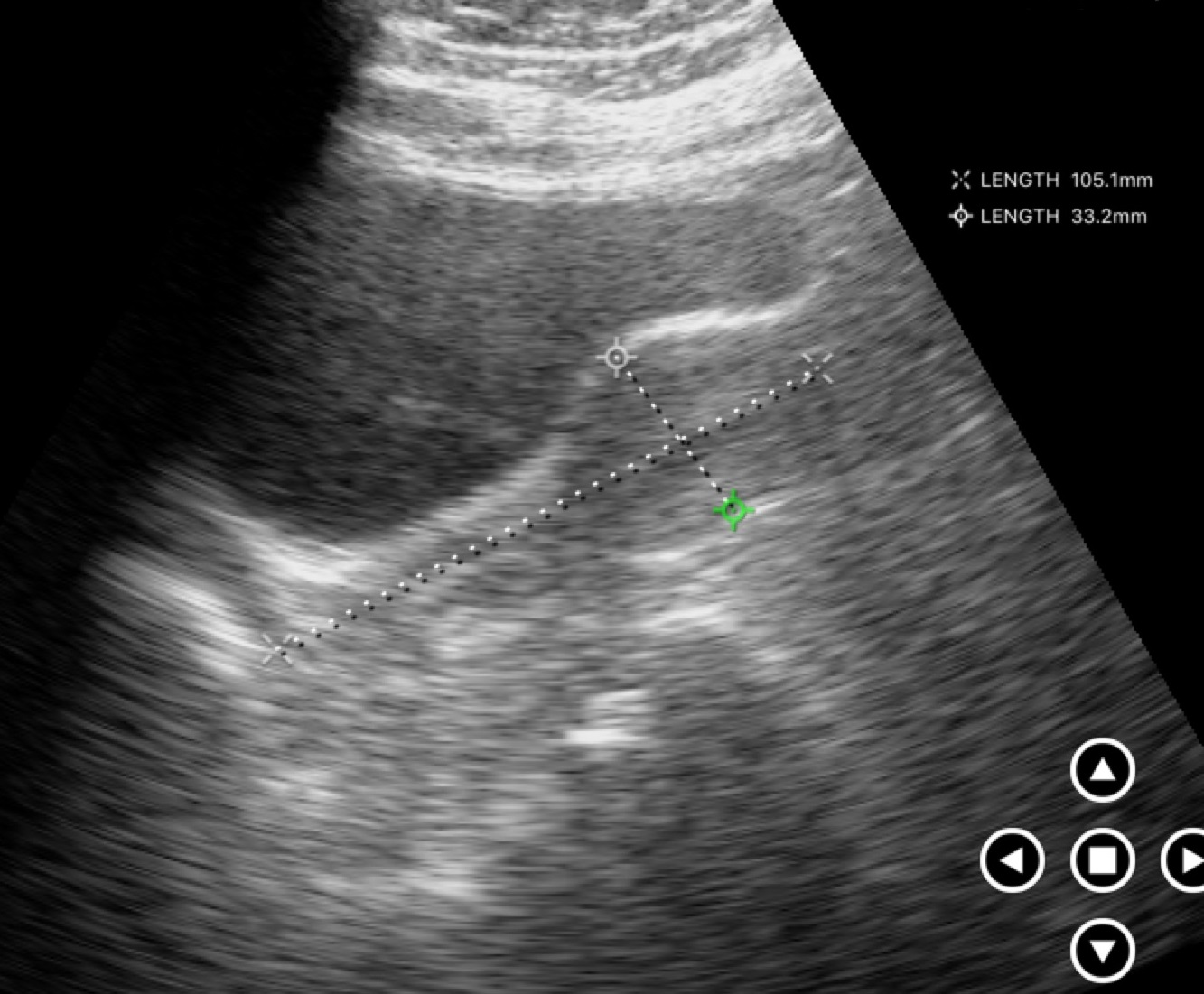
modality: genitourinary ultrasound.